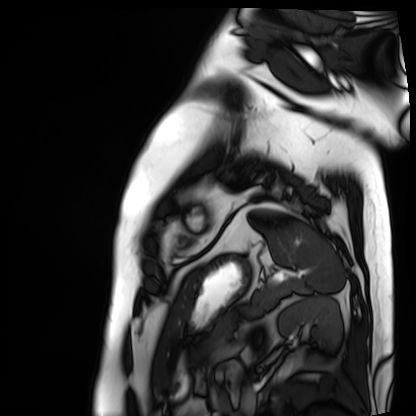
Summary:
Cardiac MRI. Subject group: patient.